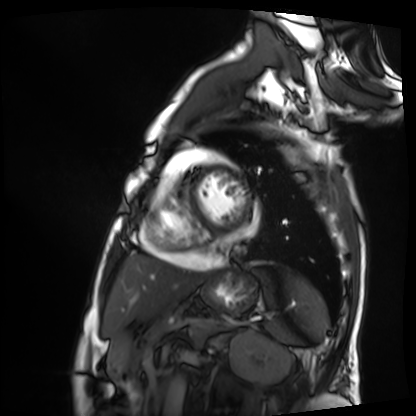
{
  "modality": "cardiac MRI",
  "cohort": "patient"
}